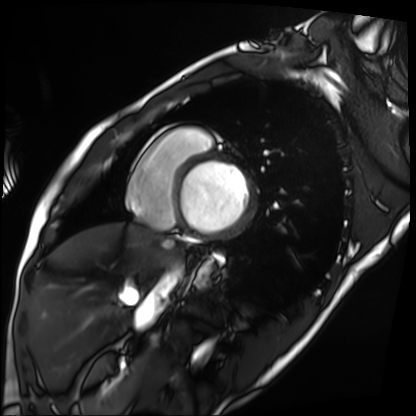
Clinical context:
Cardiac MRI. Subject group: patient.